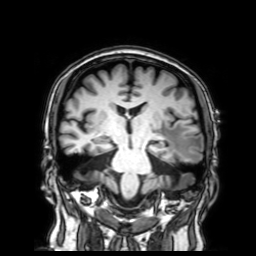
| field | value |
|---|---|
| modality | 3 Tesla brain MRI |
| series | 3D T1-weighted with SENSE |
| study | ring-enhancing brain masses |